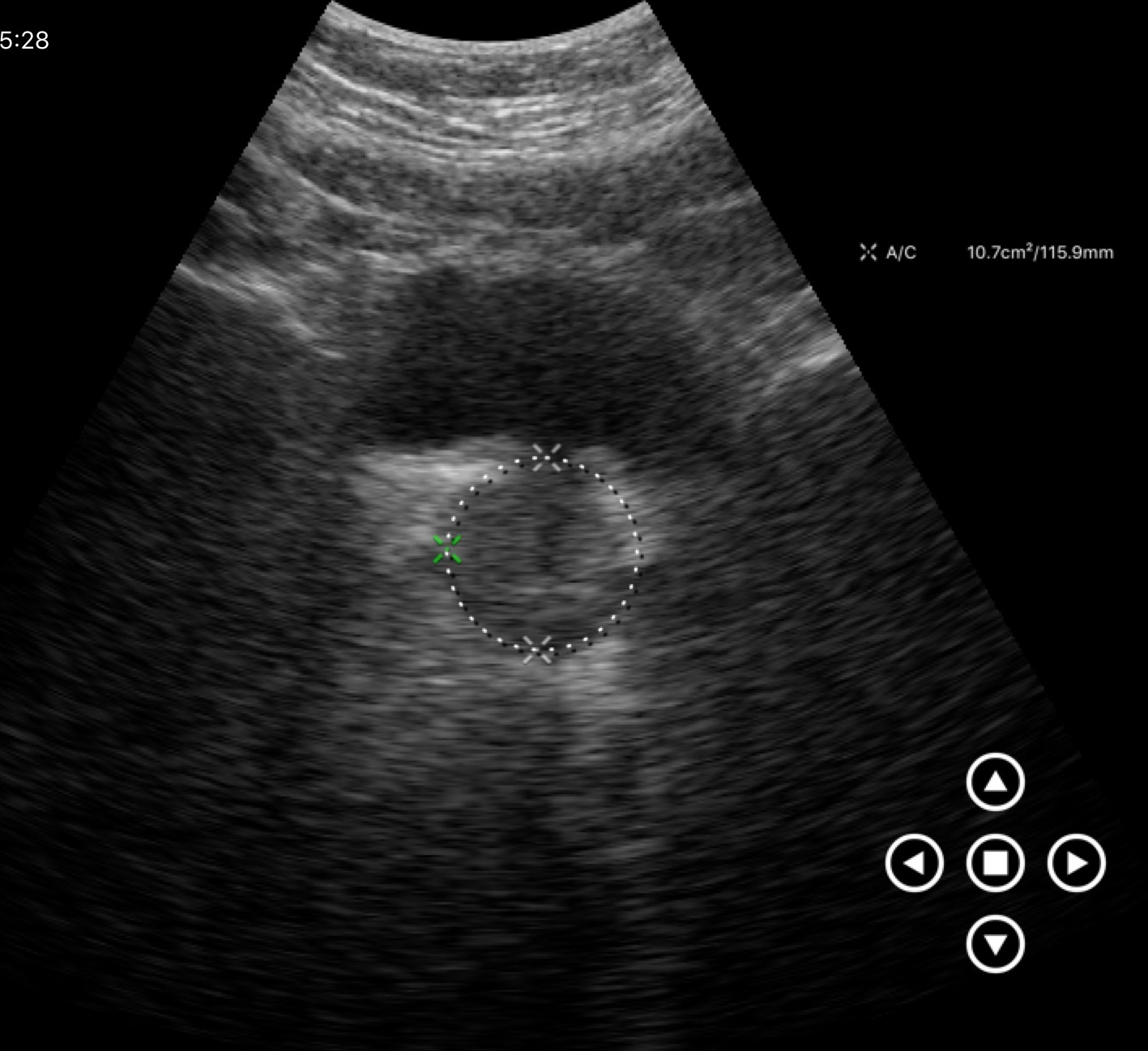
modality:
  type: genitourinary ultrasound